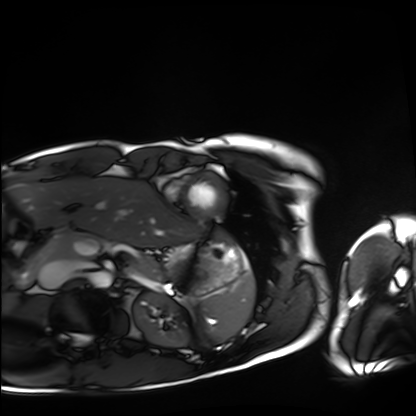
* modality: cardiac MRI
* subject group: healthy volunteer